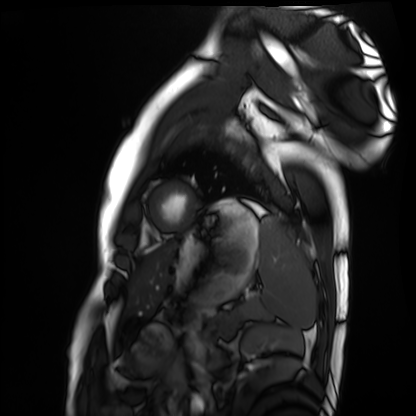
Summary: Cardiac MRI. Subject group: healthy volunteer.